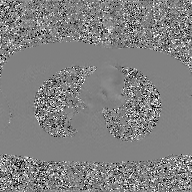
<case>
  <modality>
    <type>2D phase-contrast cine MRI</type>
    <region>ascending aorta</region>
    <reconstruction>GAN super-resolution reconstruction</reconstruction>
  </modality>
</case>